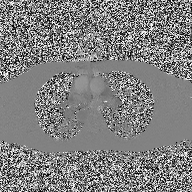
Case summary: 2D phase-contrast cine MRI of the ascending aorta, high-resolution GRAPPA acquisition.